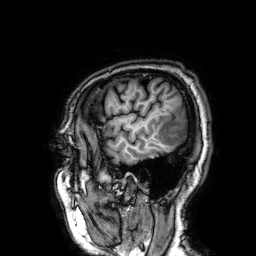
3 Tesla brain MRI.
Series: 3D T1-weighted.
Study: ring-enhancing brain masses.